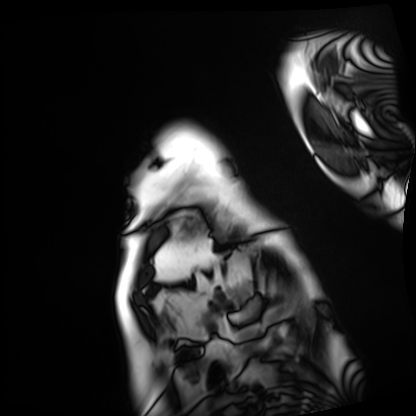
modality: cardiac MRI; subject group: patient.